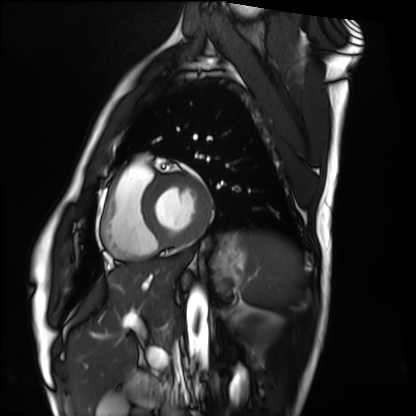
| field | value |
|---|---|
| modality | cardiac MRI |
| subject group | healthy volunteer |